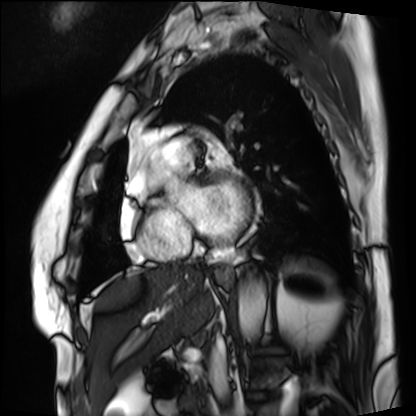
Summary:
Cardiac MRI. Subject group: patient.